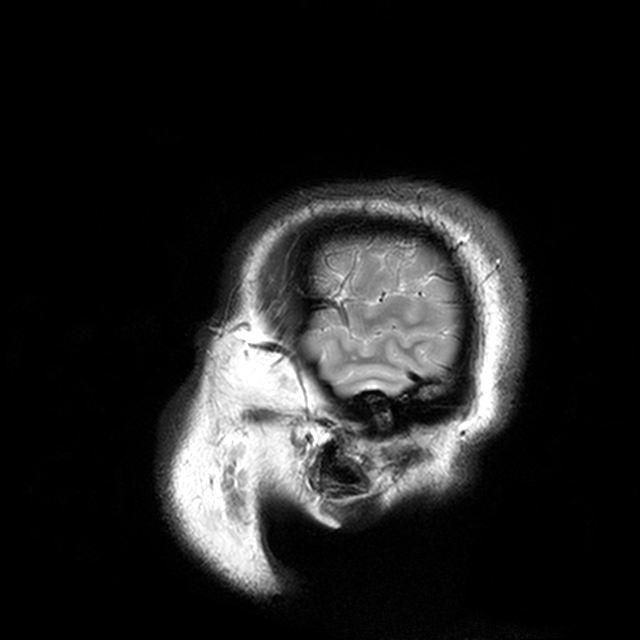
modality: 3 Tesla brain MRI; series: T2-weighted turbo spin echo with CLEAR; study: ring-enhancing brain masses.